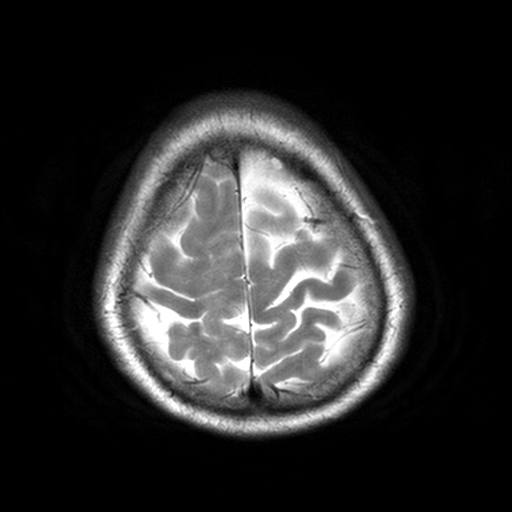
Q: What kind of scan is this?
A: 3 Tesla brain MRI.
Q: Series?
A: T2-weighted turbo spin echo, 3 mm.
Study: ring-enhancing brain masses.